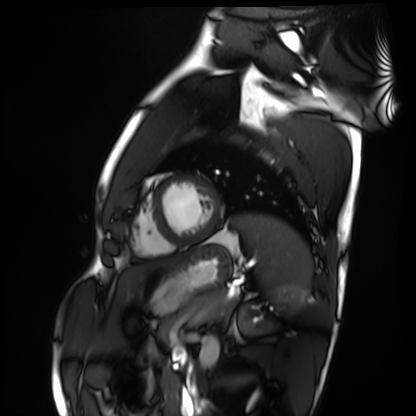
modality: cardiac MRI | subject group: healthy volunteer.